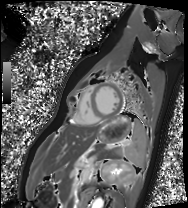
modality: cardiac MRI
cohort: healthy volunteer